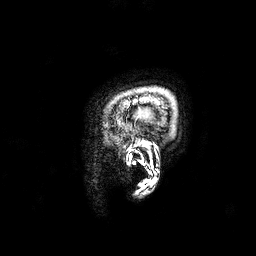
<scan>
<modality>
  <type>brain MRI</type>
  <field_strength>3T</field_strength>
</modality>
<series>3D T1-weighted</series>
<study_topic>ring-enhancing brain masses</study_topic>
</scan>